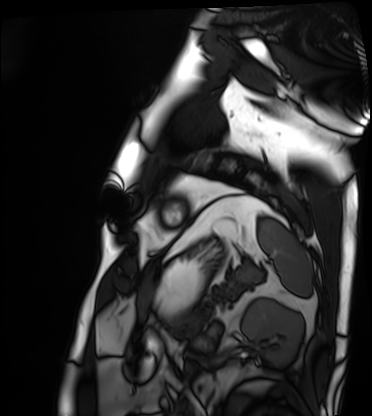
Summary:
Cardiac MRI. Subject group: patient.